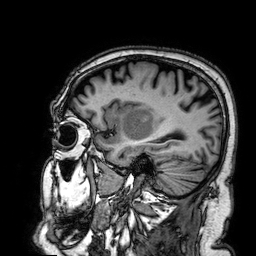
3 Tesla brain MRI. Series: 3D T1-weighted. Study: ring-enhancing brain masses.